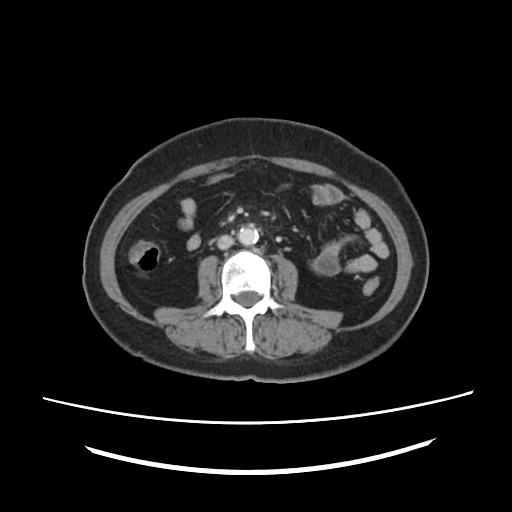
Multiphase abdominal CT, liver, portal venous phase.
Patient: female, age 60.
History: prior chemotherapy.